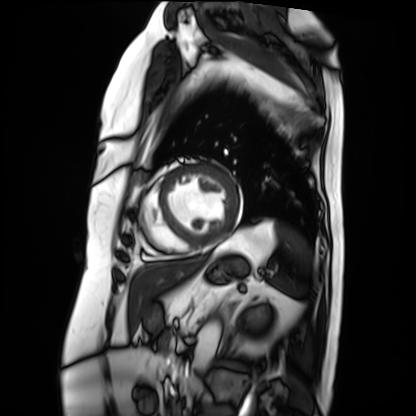
Q: What kind of scan is this?
A: Cardiac MRI.
Subject group: patient.